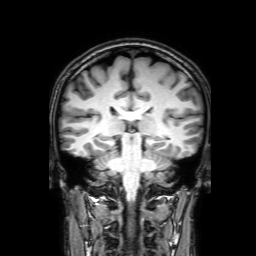
3 Tesla brain MRI. Series: 3D T1-weighted with SENSE. Study: ring-enhancing brain masses.